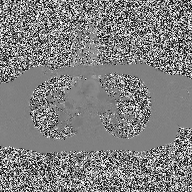
Q: What kind of scan is this?
A: 2D phase-contrast cine MRI of the ascending aorta.